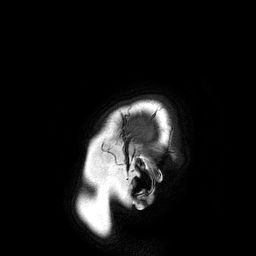
<record>
  <modality>
    <type>brain MRI</type>
    <field_strength>3T</field_strength>
  </modality>
  <series>3D T1-weighted turbo field echo</series>
  <study_topic>ring-enhancing brain masses</study_topic>
</record>